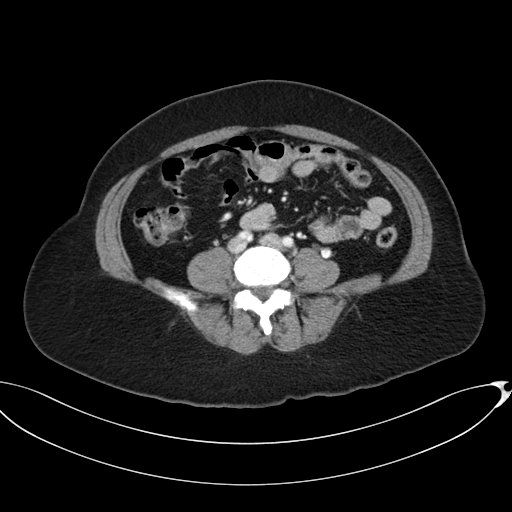
Case summary: Multiphase abdominal CT, liver, portal venous phase. Patient: female, age 52.